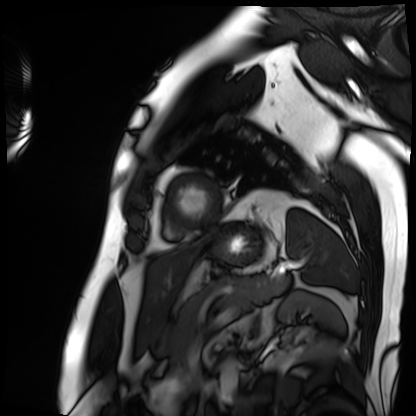
modality = cardiac MRI; subject group = patient.